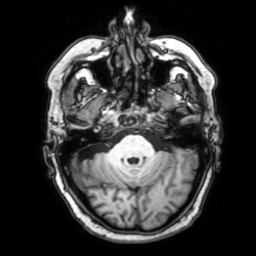
- modality · 3 Tesla brain MRI
- series · 3D T1-weighted with SENSE
- study · ring-enhancing brain masses